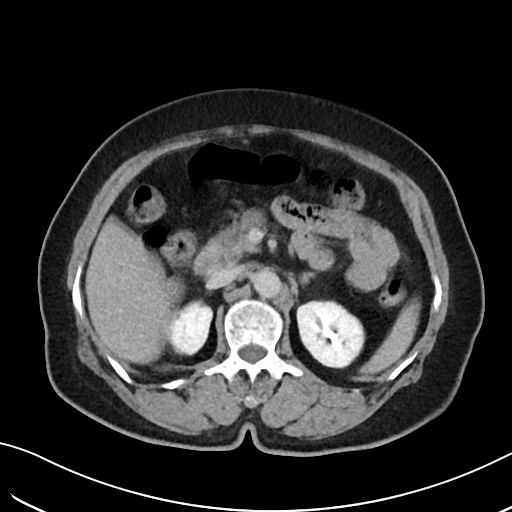
<record>
  <modality>
    <type>multiphase abdominal CT</type>
    <region>liver</region>
    <phase>delayed</phase>
  </modality>
  <patient>
    <sex>female</sex>
    <age>62</age>
  </patient>
</record>